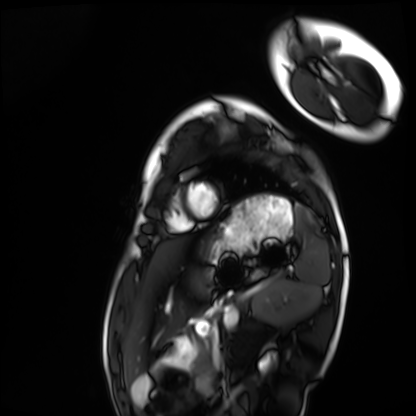
  modality: cardiac MRI
  cohort: healthy volunteer